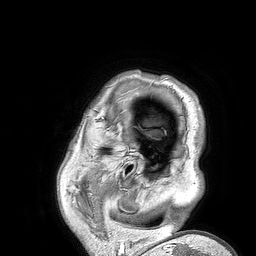
Q: What kind of scan is this?
A: 3 Tesla brain MRI.
Q: Series?
A: 3D T1-weighted turbo field echo.
Study: ring-enhancing brain masses.